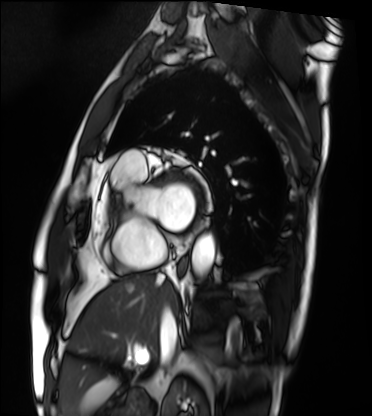
modality: cardiac MRI
subject group: patient